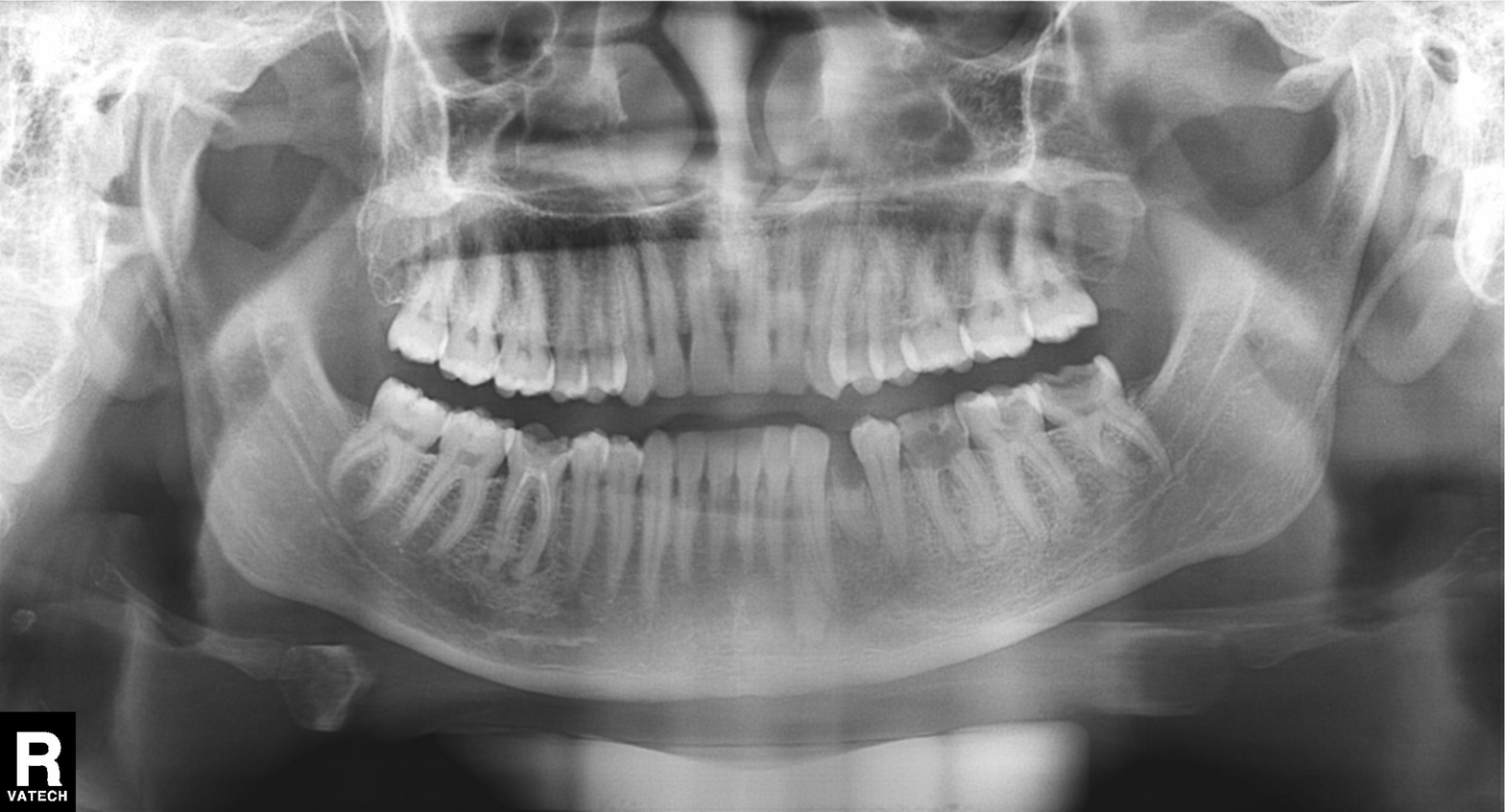
Q: What kind of scan is this?
A: Panoramic dental radiograph (orthopantomogram).
Q: What is the radiographic finding?
A: Dental caries (cavities).